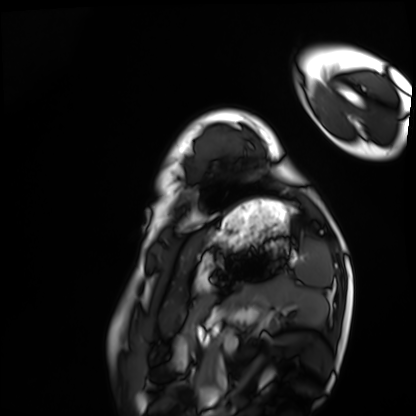
Q: What kind of scan is this?
A: Cardiac MRI.
Subject group: healthy volunteer.